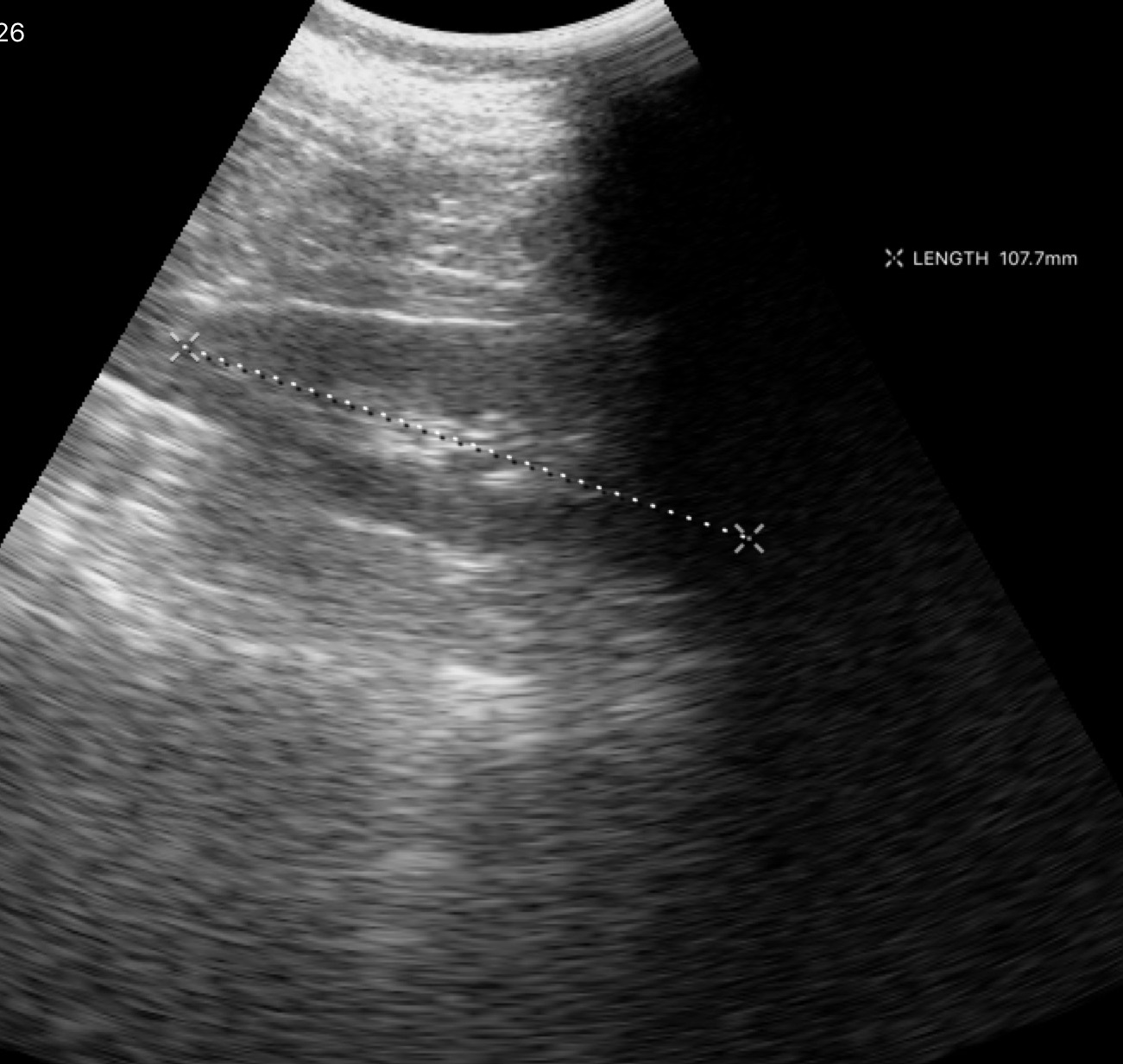
Q: What kind of scan is this?
A: Genitourinary ultrasound.